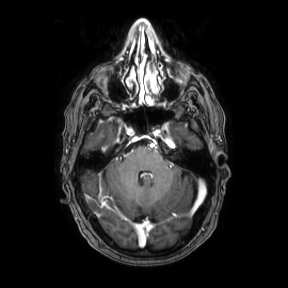
Summary: 3 Tesla brain MRI. Series: axial. Study: ring-enhancing brain masses.